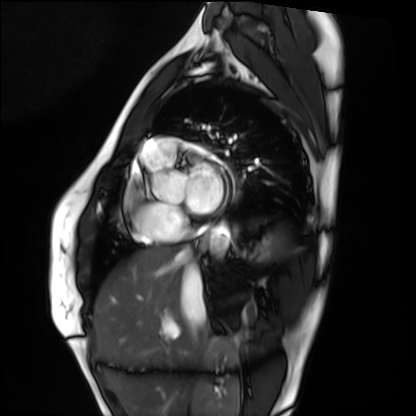
Clinical context:
Cardiac MRI. Subject group: healthy volunteer.